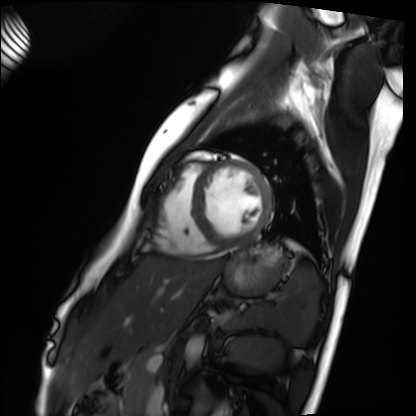
<case>
  <modality>cardiac MRI</modality>
  <cohort>healthy volunteer</cohort>
</case>